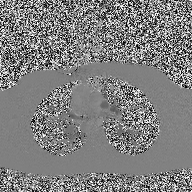
Q: What kind of scan is this?
A: 2D phase-contrast cine MRI of the ascending aorta.